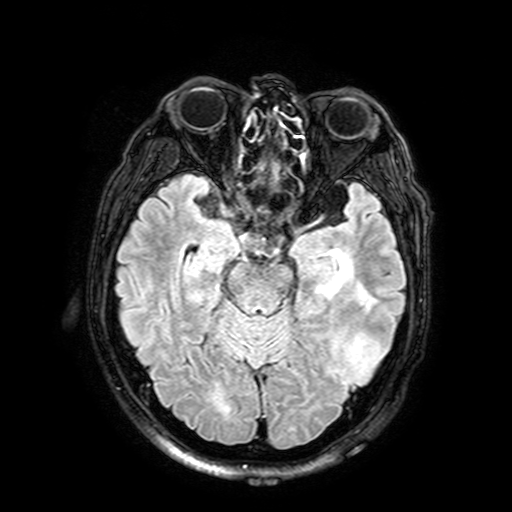
- modality · 3 Tesla brain MRI
- study · ring-enhancing brain masses